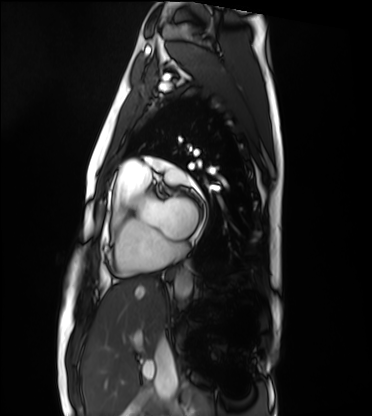
modality: cardiac MRI, subject group: healthy volunteer.